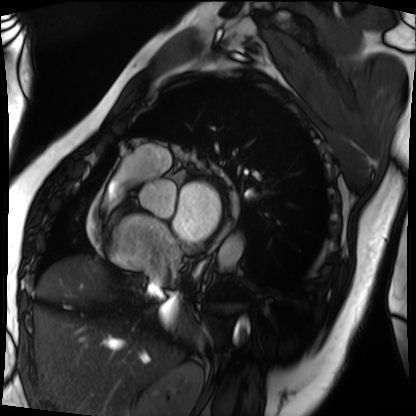
Summary: Cardiac MRI. Subject group: patient.